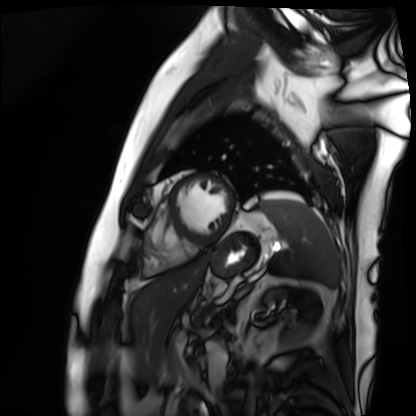
Cardiac MRI.
Subject group: patient.